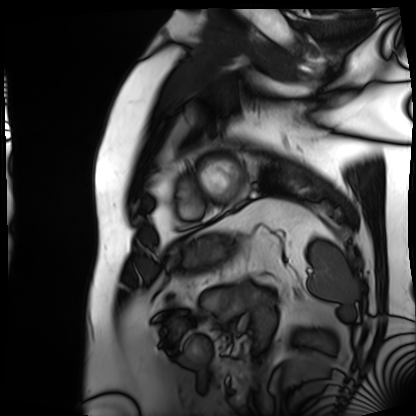
| field | value |
|---|---|
| modality | cardiac MRI |
| subject group | patient |